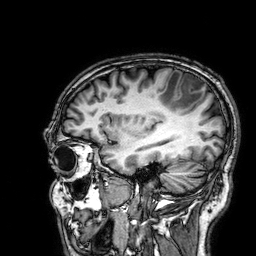
modality: 3 Tesla brain MRI | series: 3D T1-weighted | study: ring-enhancing brain masses.